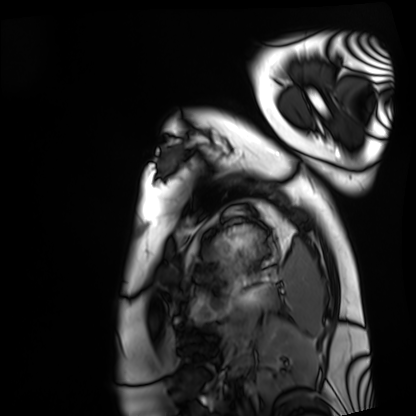
<record>
  <modality>cardiac MRI</modality>
  <cohort>healthy volunteer</cohort>
</record>